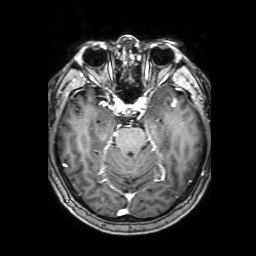
3 Tesla brain MRI. Series: 3D T1-weighted with SENSE. Study: ring-enhancing brain masses.